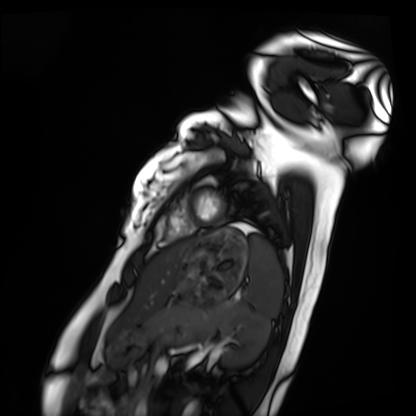
Cardiac MRI. Subject group: healthy volunteer.